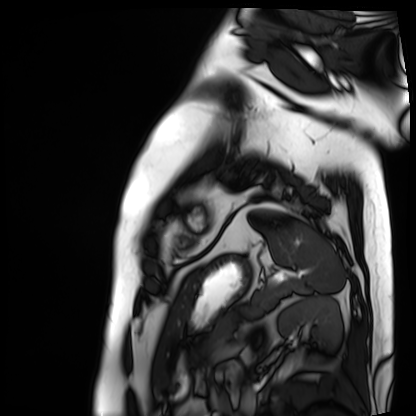
Clinical context: Cardiac MRI. Subject group: patient.